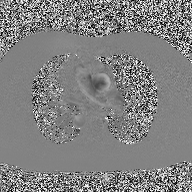
2D phase-contrast cine MRI of the ascending aorta, high-resolution GRAPPA acquisition.